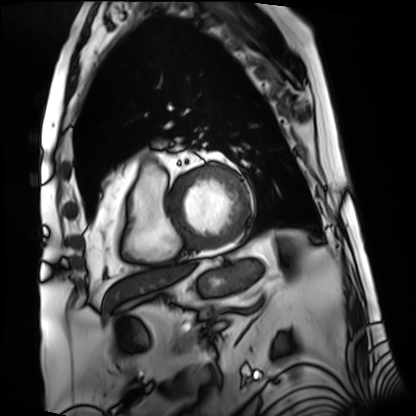
modality: cardiac MRI
cohort: patient